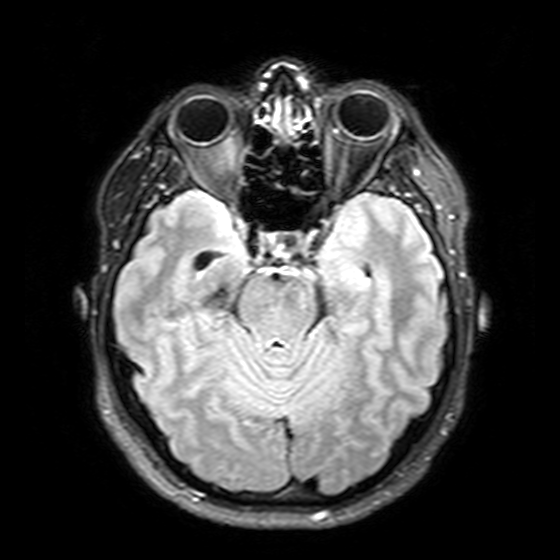
3 Tesla brain MRI. Series: T2-weighted FLAIR. Study: ring-enhancing brain masses.